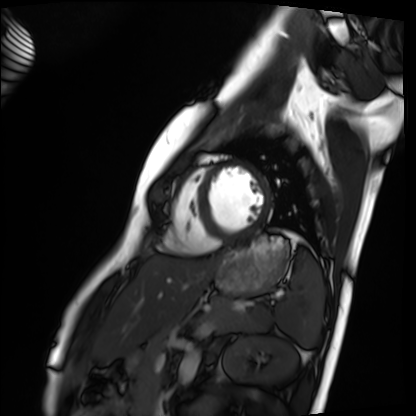
Cardiac MRI.
Subject group: healthy volunteer.